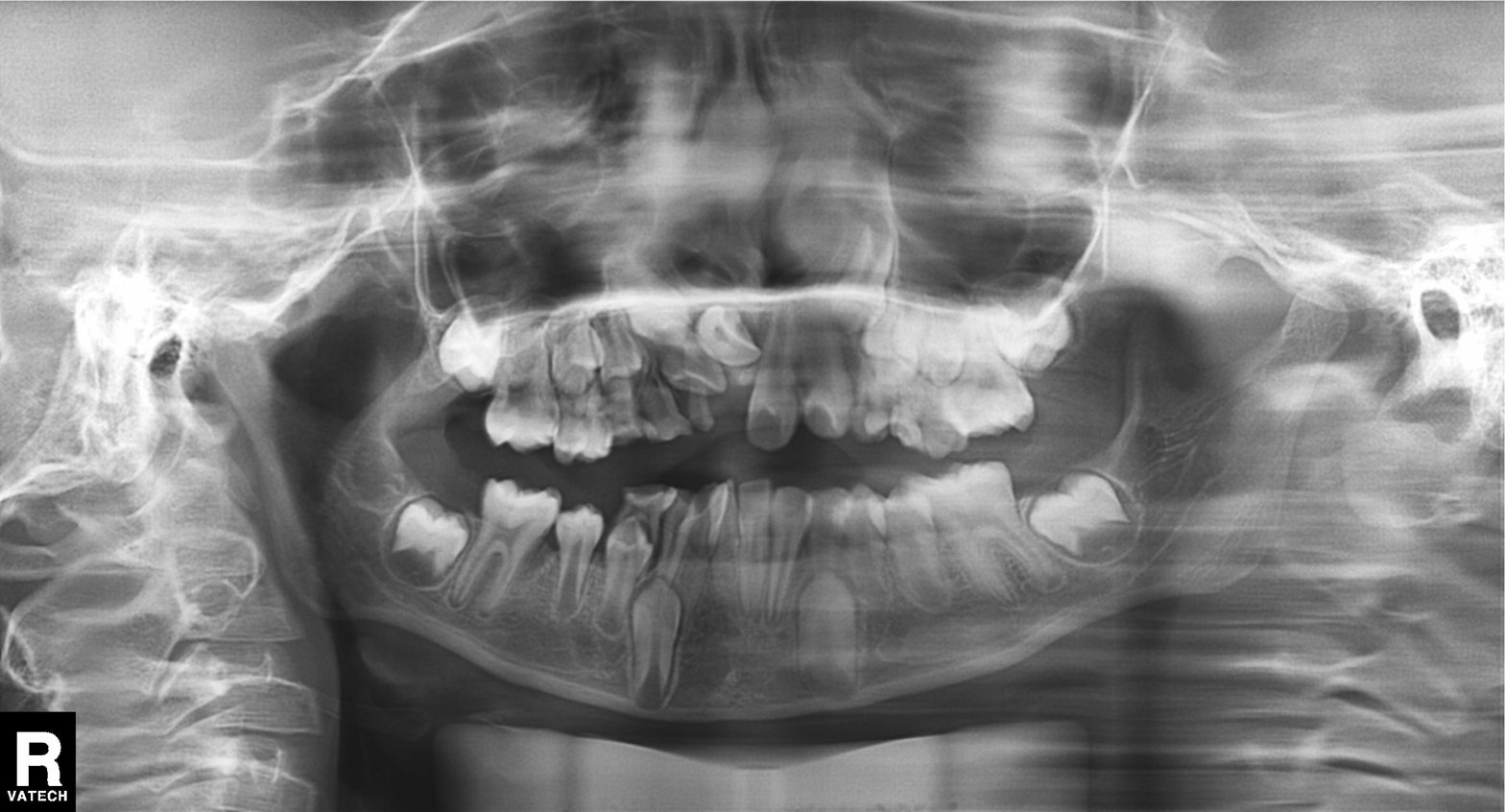
Clinical context: Panoramic dental radiograph (orthopantomogram).
Impression: Tooth impaction.